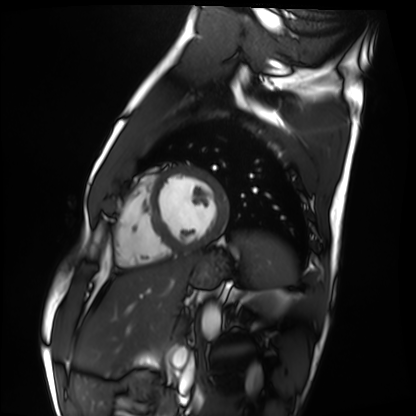
Cardiac MRI. Subject group: healthy volunteer.